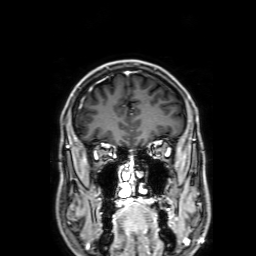
* modality: 3 Tesla brain MRI
* series: 3D T1-weighted with SENSE
* study: ring-enhancing brain masses